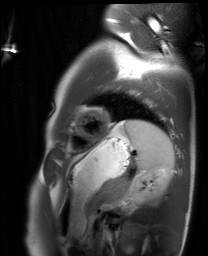
modality: cardiac MRI, subject group: healthy volunteer.